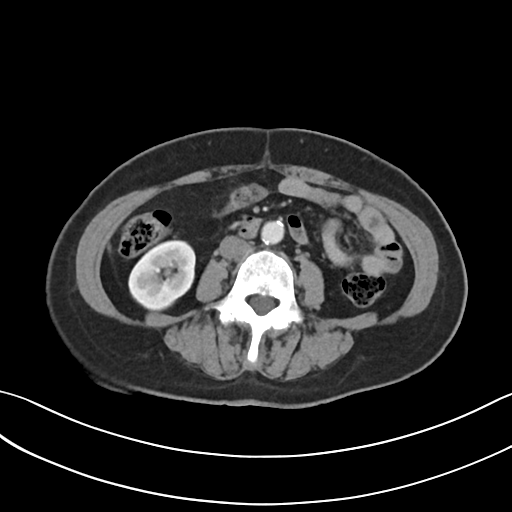
- modality · multiphase abdominal CT, liver, arterial phase
- patient · female, age 62
- history · viral hepatitis